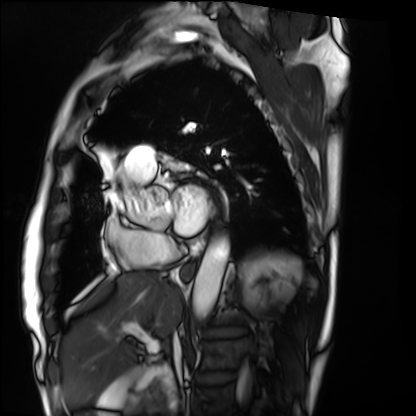
Cardiac MRI.
Subject group: patient.